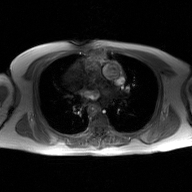
Q: What kind of scan is this?
A: 2D phase-contrast cine MRI of the ascending aorta, GAN super-resolution reconstruction.